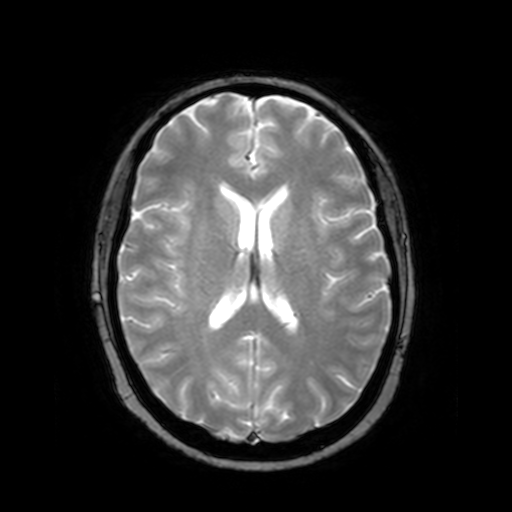
modality — 3 Tesla brain MRI | series — T2-weighted fast field echo | study — ring-enhancing brain masses.